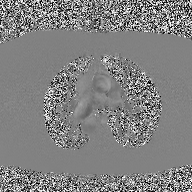
{
  "modality": {
    "type": "2D phase-contrast cine MRI",
    "region": "ascending aorta",
    "reconstruction": "high-resolution GRAPPA acquisition"
  }
}